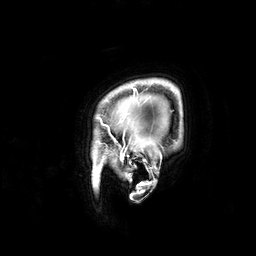
Summary: 3 Tesla brain MRI. Series: 3D T1-weighted. Study: ring-enhancing brain masses.